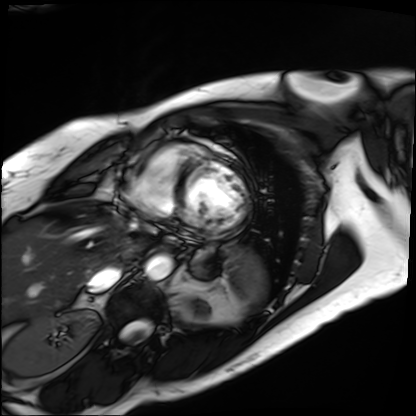
Case:
– modality — cardiac MRI
– subject group — patient